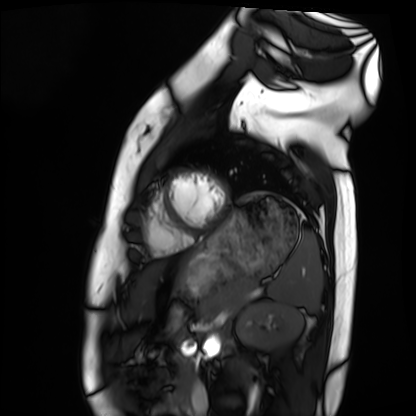
<scan>
<modality>cardiac MRI</modality>
<cohort>healthy volunteer</cohort>
</scan>